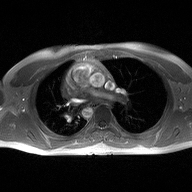
2D phase-contrast cine MRI of the ascending aorta, high-resolution GRAPPA acquisition.